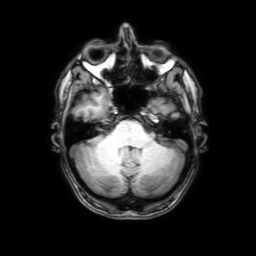
modality: 3 Tesla brain MRI | series: 3D T1-weighted with SENSE | study: ring-enhancing brain masses.